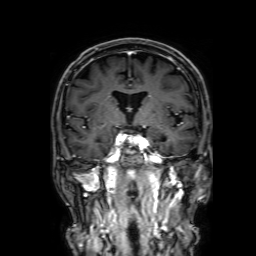
{"modality": {"type": "brain MRI", "field_strength": "3T"}, "study_topic": "ring-enhancing brain masses"}